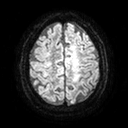
<study>
  <modality>
    <type>brain MRI</type>
    <field_strength>3T</field_strength>
  </modality>
  <series>diffusion tensor imaging (medium iso)</series>
  <study_topic>ring-enhancing brain masses</study_topic>
</study>